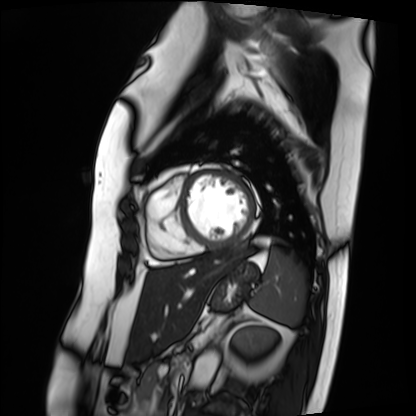
Q: What kind of scan is this?
A: Cardiac MRI.
Subject group: patient.